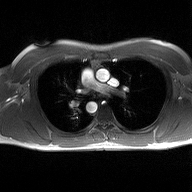
2D phase-contrast cine MRI of the ascending aorta, high-resolution GRAPPA acquisition.